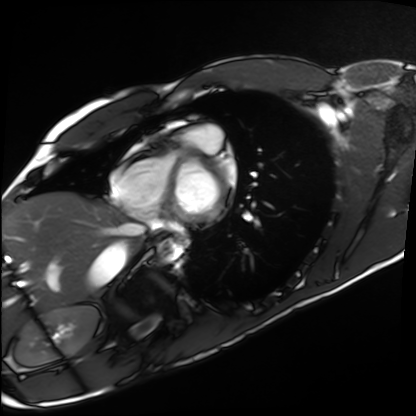
modality=cardiac MRI; subject group=healthy volunteer.